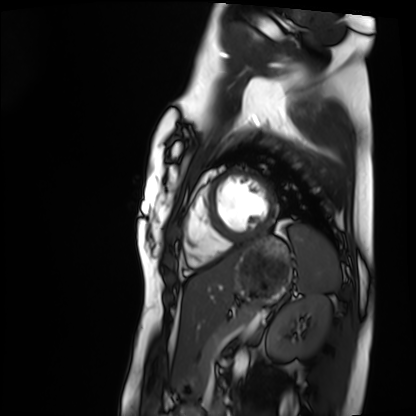
Cardiac MRI.
Subject group: healthy volunteer.